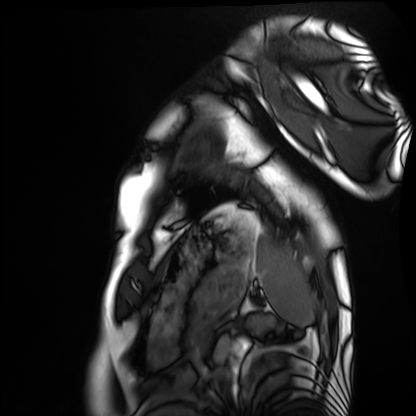
Q: What kind of scan is this?
A: Cardiac MRI.
Subject group: healthy volunteer.